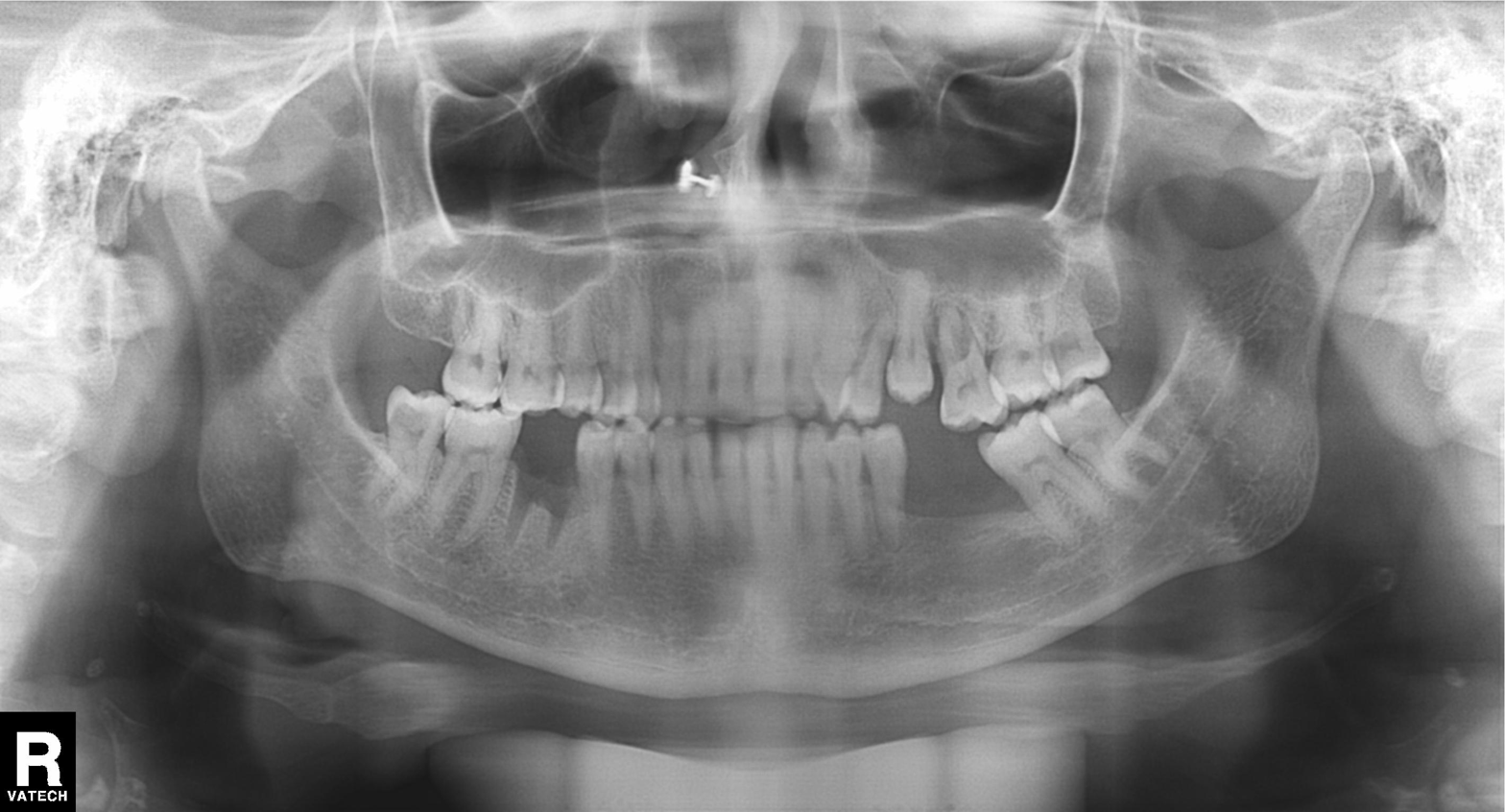
  modality: panoramic dental radiograph (orthopantomogram)
  finding: alveolar bone loss